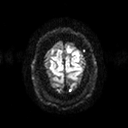
Case summary: 3 Tesla brain MRI. Series: diffusion tensor imaging (medium iso). Study: ring-enhancing brain masses.